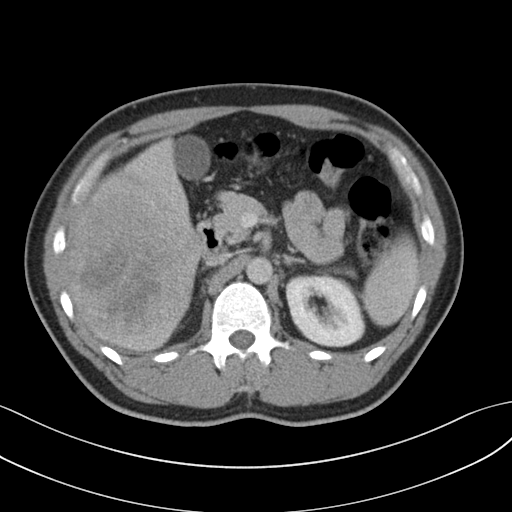
Q: What kind of scan is this?
A: Multiphase abdominal CT, liver, portal venous phase.
Q: Patient?
A: Male, age 32.